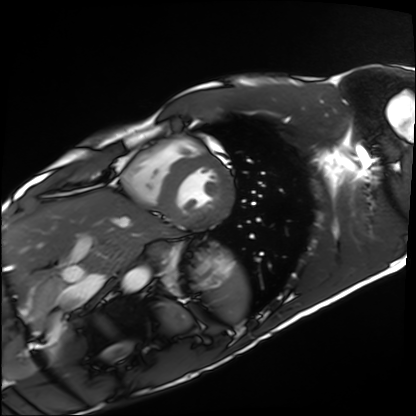
Cardiac MRI. Subject group: healthy volunteer.